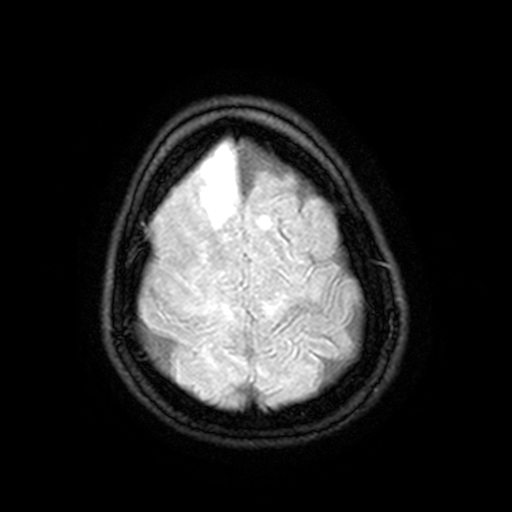
<case>
<modality>
  <type>brain MRI</type>
  <field_strength>3T</field_strength>
</modality>
<series>FLAIR with SPAIR, 3 mm</series>
<study_topic>ring-enhancing brain masses</study_topic>
</case>